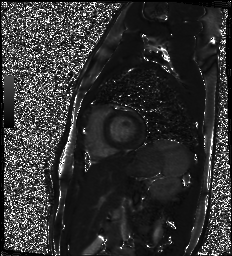
Case summary:
Cardiac MR image of the myocardium. Subject cohort: healthy volunteer.